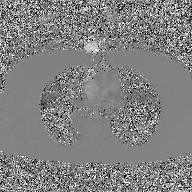
2D phase-contrast cine MRI of the ascending aorta, GAN super-resolution reconstruction.